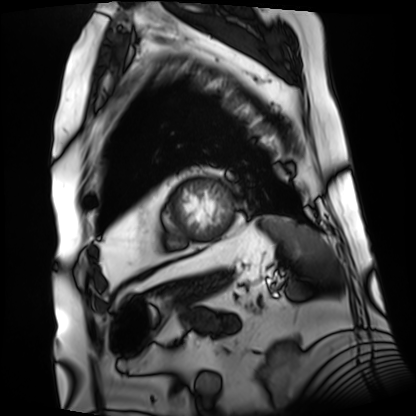
Cardiac MRI. Subject group: patient.